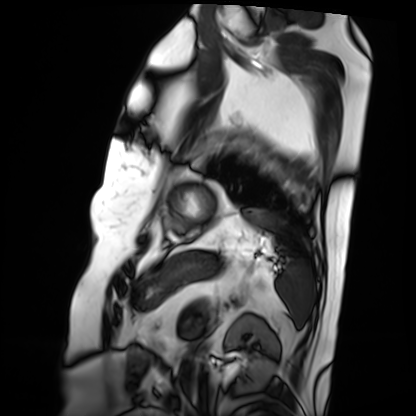
Case:
- modality — cardiac MRI
- subject group — patient